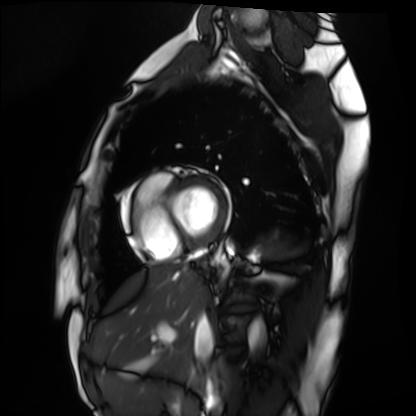
Case summary:
Cardiac MRI. Subject group: healthy volunteer.